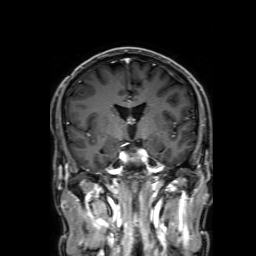
{
  "modality": {
    "type": "brain MRI",
    "field_strength": "3T"
  },
  "study_topic": "ring-enhancing brain masses"
}